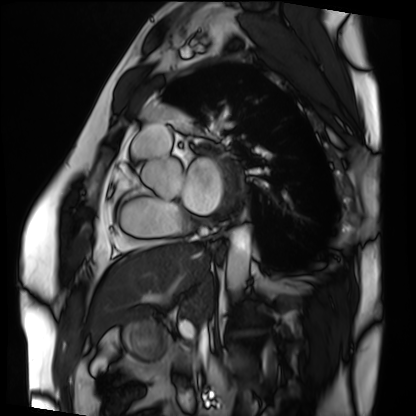
Cardiac MRI. Subject group: patient.